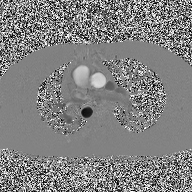
modality:
  type: 2D phase-contrast cine MRI
  region: ascending aorta
  reconstruction: high-resolution GRAPPA acquisition